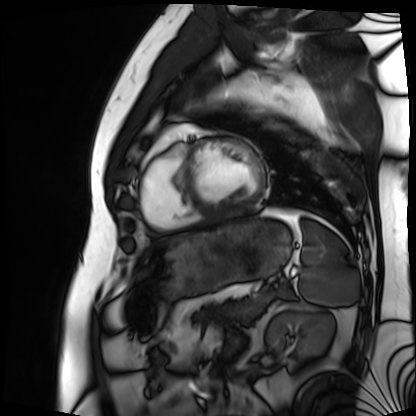
Cardiac MRI. Subject group: patient.